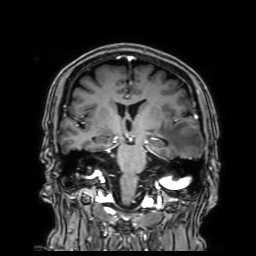
Q: What kind of scan is this?
A: 3 Tesla brain MRI.
Q: Series?
A: 3D T1-weighted with SENSE.
Study: ring-enhancing brain masses.